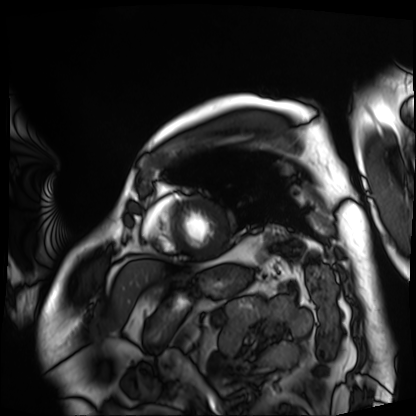
modality = cardiac MRI; subject group = patient.